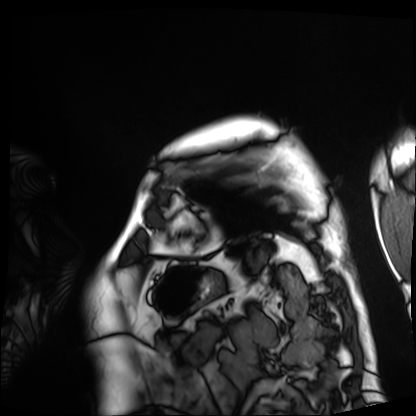
Summary:
Cardiac MRI. Subject group: patient.